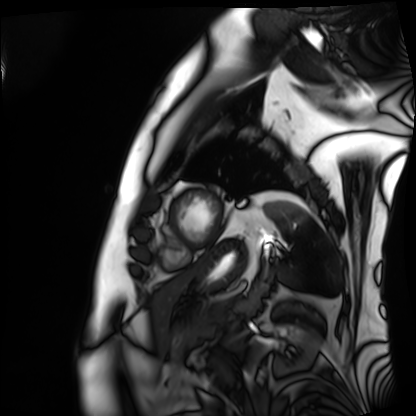
Cardiac MRI. Subject group: patient.